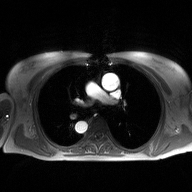
<scan>
  <modality>
    <type>2D phase-contrast cine MRI</type>
    <region>ascending aorta</region>
    <reconstruction>high-resolution GRAPPA acquisition</reconstruction>
  </modality>
</scan>